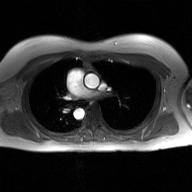
2D phase-contrast cine MRI of the ascending aorta, GAN super-resolution reconstruction.